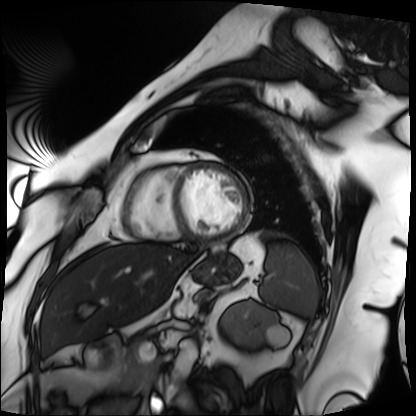
Q: What kind of scan is this?
A: Cardiac MRI.
Subject group: patient.